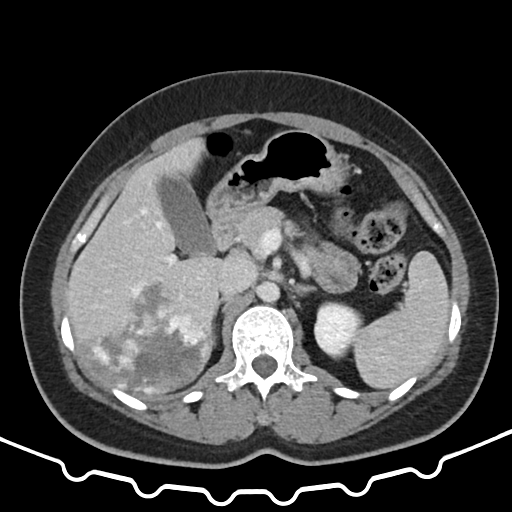
modality: multiphase abdominal CT, liver, portal venous phase; patient: female, age 37.